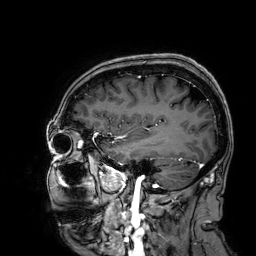
modality = 3 Tesla brain MRI
series = 3D T1-weighted
study = ring-enhancing brain masses